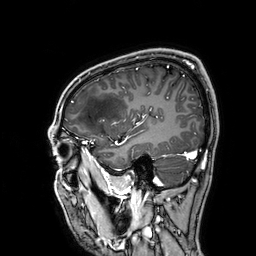
3 Tesla brain MRI.
Series: 3D T1-weighted.
Study: ring-enhancing brain masses.